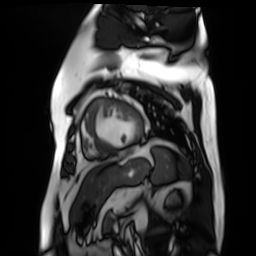
modality: cardiac MR image of the myocardium, subject cohort: cardiac patient.